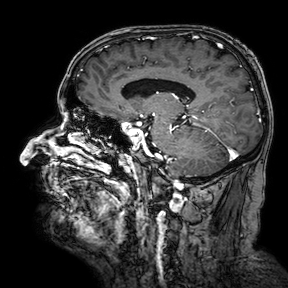
- modality · 3 Tesla brain MRI
- series · 3D T1-weighted turbo field echo with SENSE
- study · ring-enhancing brain masses